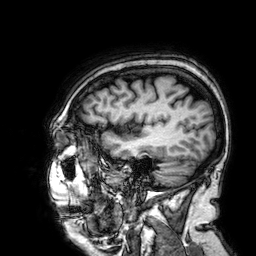
| field | value |
|---|---|
| modality | 3 Tesla brain MRI |
| series | 3D T1-weighted |
| study | ring-enhancing brain masses |